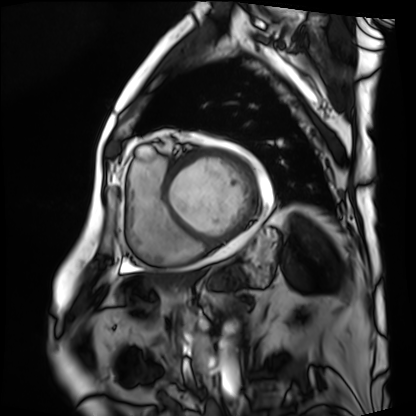
Cardiac MRI. Subject group: patient.